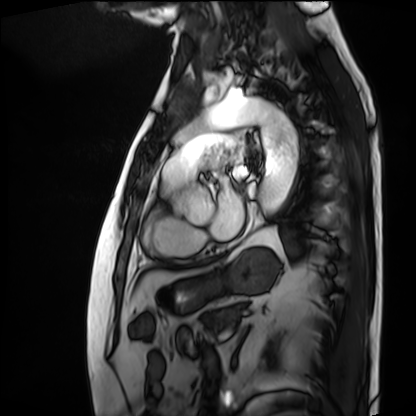
Cardiac MRI.
Subject group: patient.